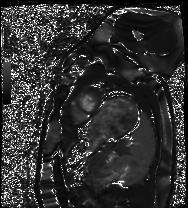
modality — cardiac MRI; subject group — healthy volunteer.